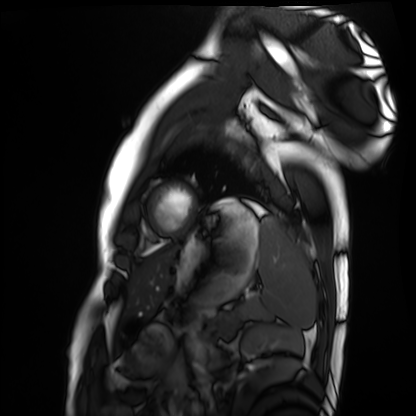
Case summary:
Cardiac MRI. Subject group: healthy volunteer.